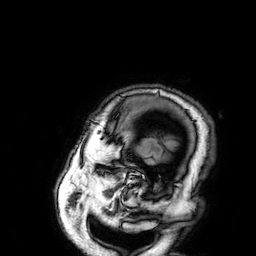
3 Tesla brain MRI. Series: 3D T1-weighted. Study: ring-enhancing brain masses.